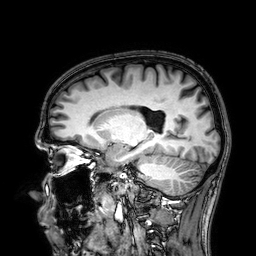
modality: 3 Tesla brain MRI | series: 3D T1-weighted | study: ring-enhancing brain masses.